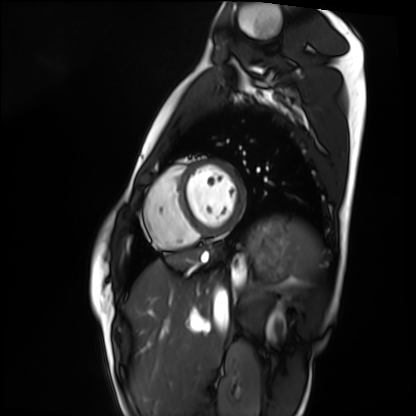
{
  "modality": "cardiac MRI",
  "cohort": "healthy volunteer"
}